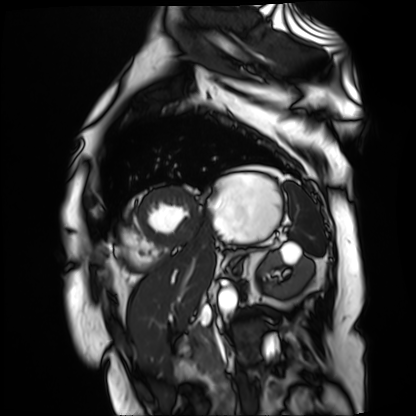
Clinical context:
Cardiac MR image of the myocardium. Subject cohort: cardiac patient.